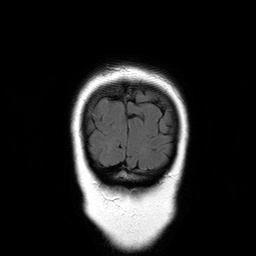
- modality — 3 Tesla brain MRI
- series — T2-weighted FLAIR
- study — ring-enhancing brain masses